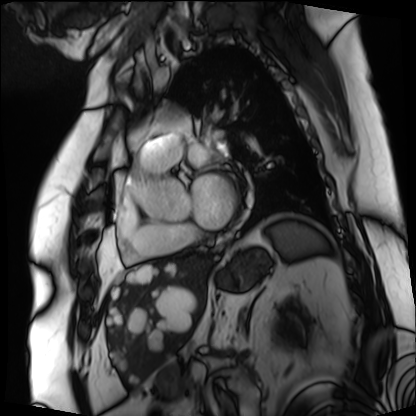
Cardiac MRI. Subject group: patient.